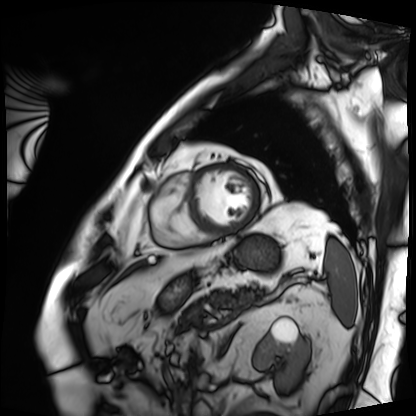
Cardiac MRI. Subject group: patient.